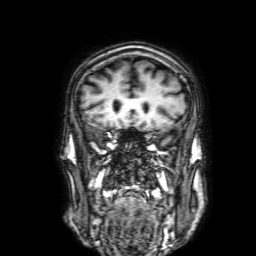
modality — 3 Tesla brain MRI | series — 3D T1-weighted with SENSE | study — ring-enhancing brain masses.